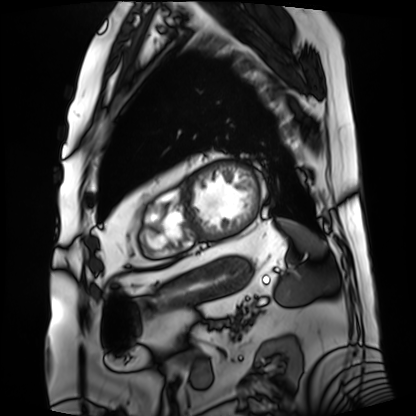
modality=cardiac MRI | subject group=patient.